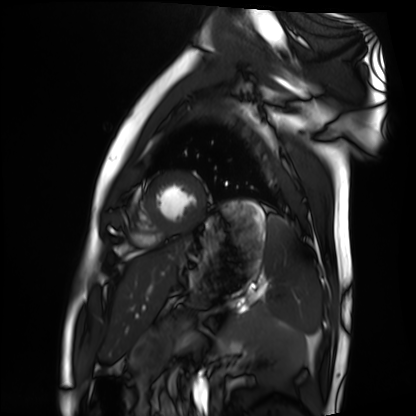
Cardiac MRI.
Subject group: healthy volunteer.